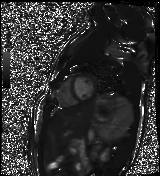
modality: cardiac MR image of the myocardium | subject cohort: healthy volunteer.